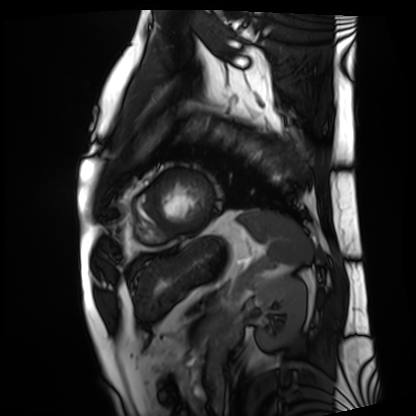
modality: cardiac MRI, subject group: patient.